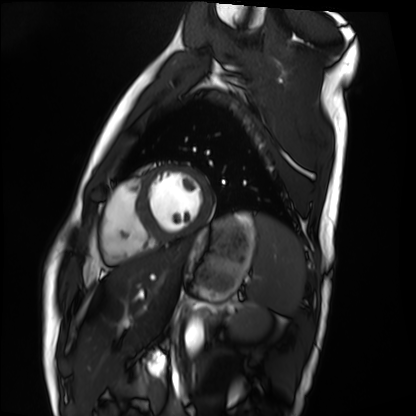
Summary: Cardiac MRI. Subject group: healthy volunteer.